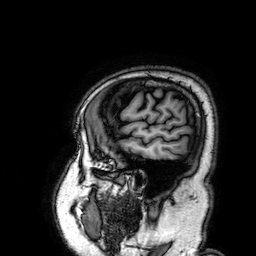
Summary:
3 Tesla brain MRI. Series: 3D T1-weighted. Study: ring-enhancing brain masses.